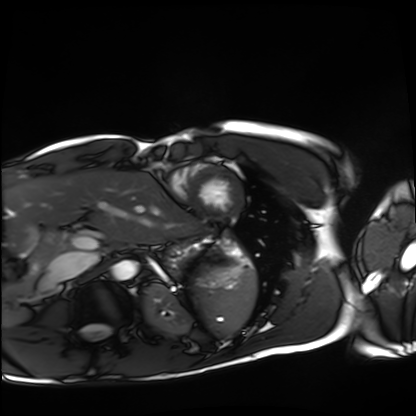
* modality · cardiac MRI
* subject group · healthy volunteer